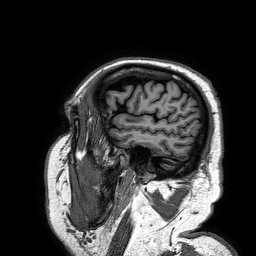
Clinical context: 3 Tesla brain MRI. Series: 3D T1-weighted turbo field echo. Study: ring-enhancing brain masses.